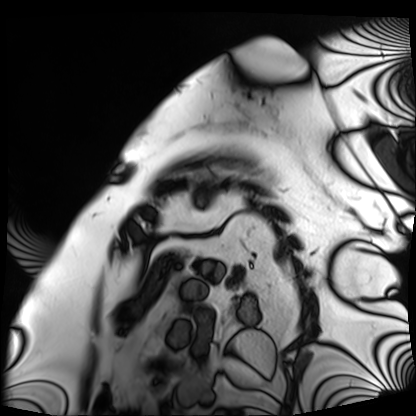
- modality · cardiac MRI
- subject group · patient